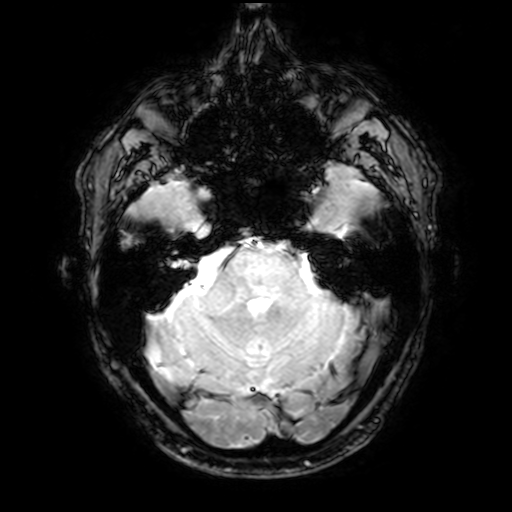
3 Tesla brain MRI. Study: ring-enhancing brain masses.